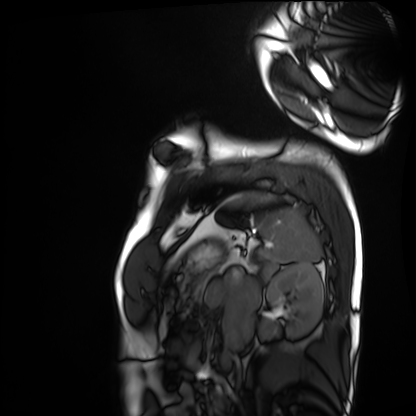
Q: What kind of scan is this?
A: Cardiac MRI.
Subject group: healthy volunteer.